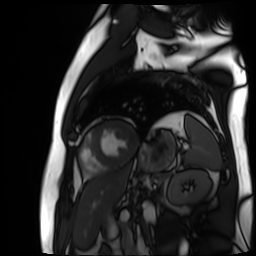
– modality · cardiac MR image of the myocardium
– subject cohort · cardiac patient